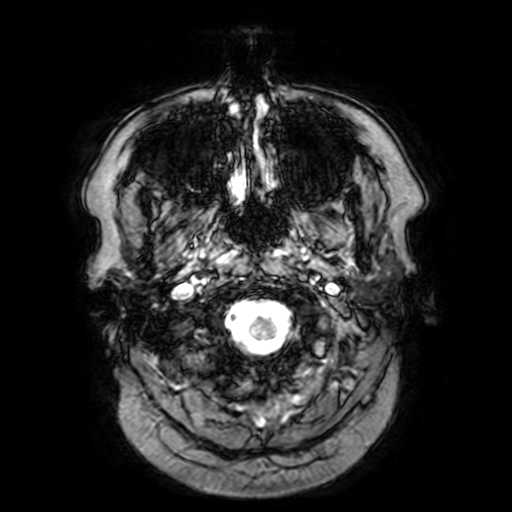
Case summary: 3 Tesla brain MRI. Series: T2-weighted fast field echo with SENSE. Study: ring-enhancing brain masses.